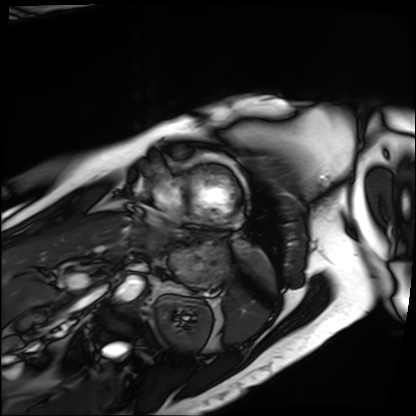
| field | value |
|---|---|
| modality | cardiac MRI |
| subject group | patient |